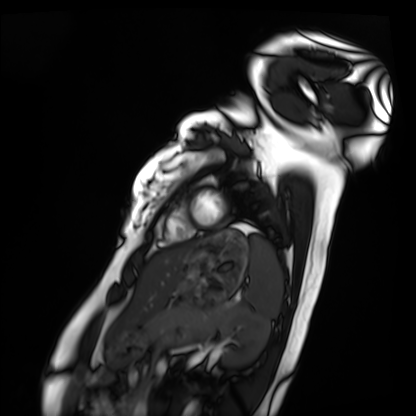
| field | value |
|---|---|
| modality | cardiac MRI |
| subject group | healthy volunteer |